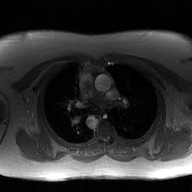
2D phase-contrast cine MRI of the ascending aorta, GAN super-resolution reconstruction.